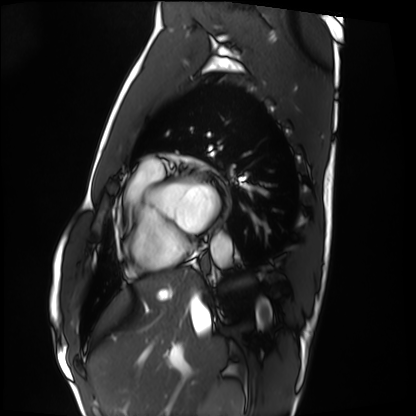
Case:
– modality · cardiac MRI
– subject group · healthy volunteer